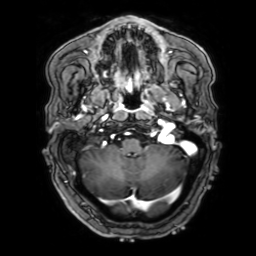
3 Tesla brain MRI. Series: 3D T1-weighted with SENSE. Study: ring-enhancing brain masses.